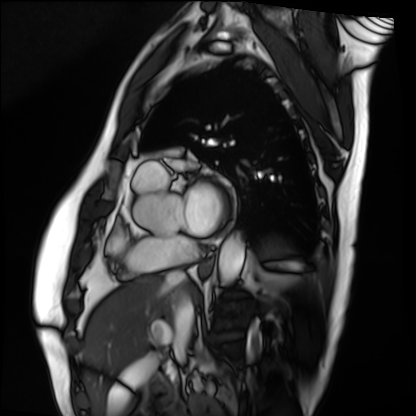
{"modality": "cardiac MRI", "cohort": "patient"}